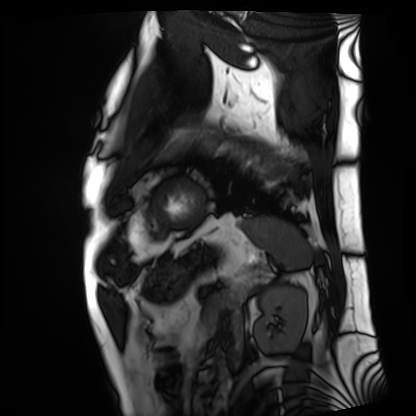
  modality: cardiac MRI
  cohort: patient